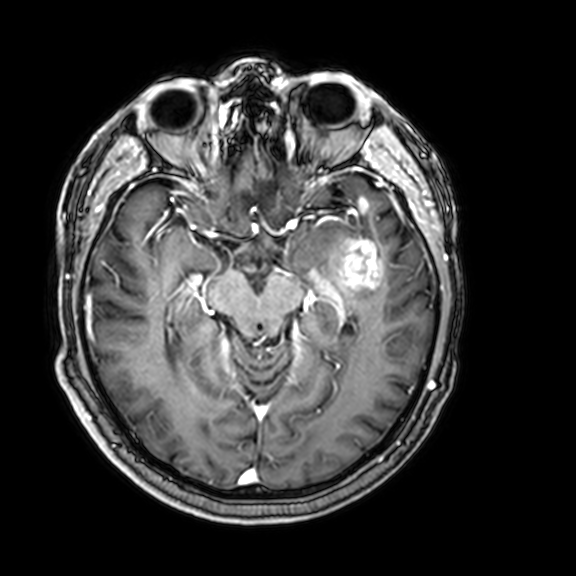
Clinical context:
3 Tesla brain MRI. Series: 3D T1-weighted with CLEAR. Study: ring-enhancing brain masses.